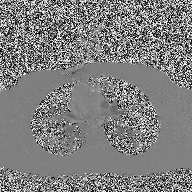
2D phase-contrast cine MRI of the ascending aorta, high-resolution GRAPPA acquisition.